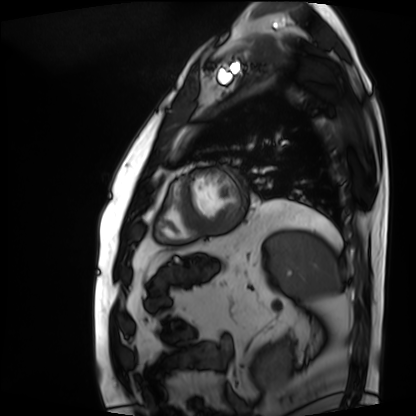
Case:
• modality: cardiac MRI
• subject group: patient